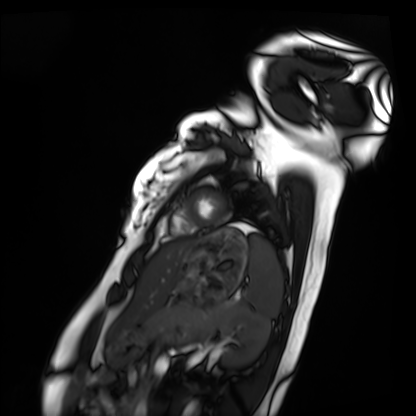
  modality: cardiac MRI
  cohort: healthy volunteer